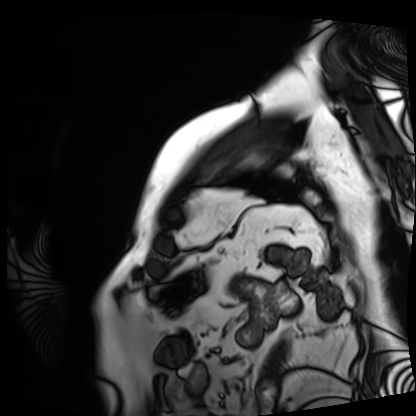
modality: cardiac MRI; subject group: patient.